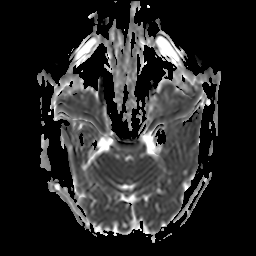
Q: What kind of scan is this?
A: 3 Tesla brain MRI.
Q: Series?
A: Apparent diffusion coefficient (ADC) map.
Study: ring-enhancing brain masses.